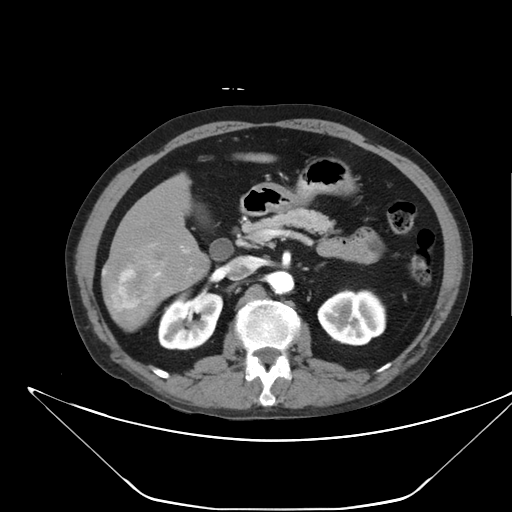
Multiphase abdominal CT, liver, arterial phase. Patient: male, age 59. History: viral hepatitis.